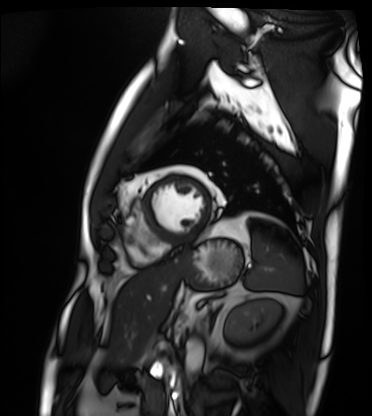
<record>
<modality>cardiac MRI</modality>
<cohort>patient</cohort>
</record>